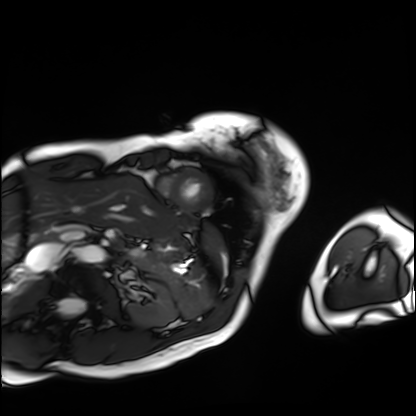
modality=cardiac MRI | subject group=patient.